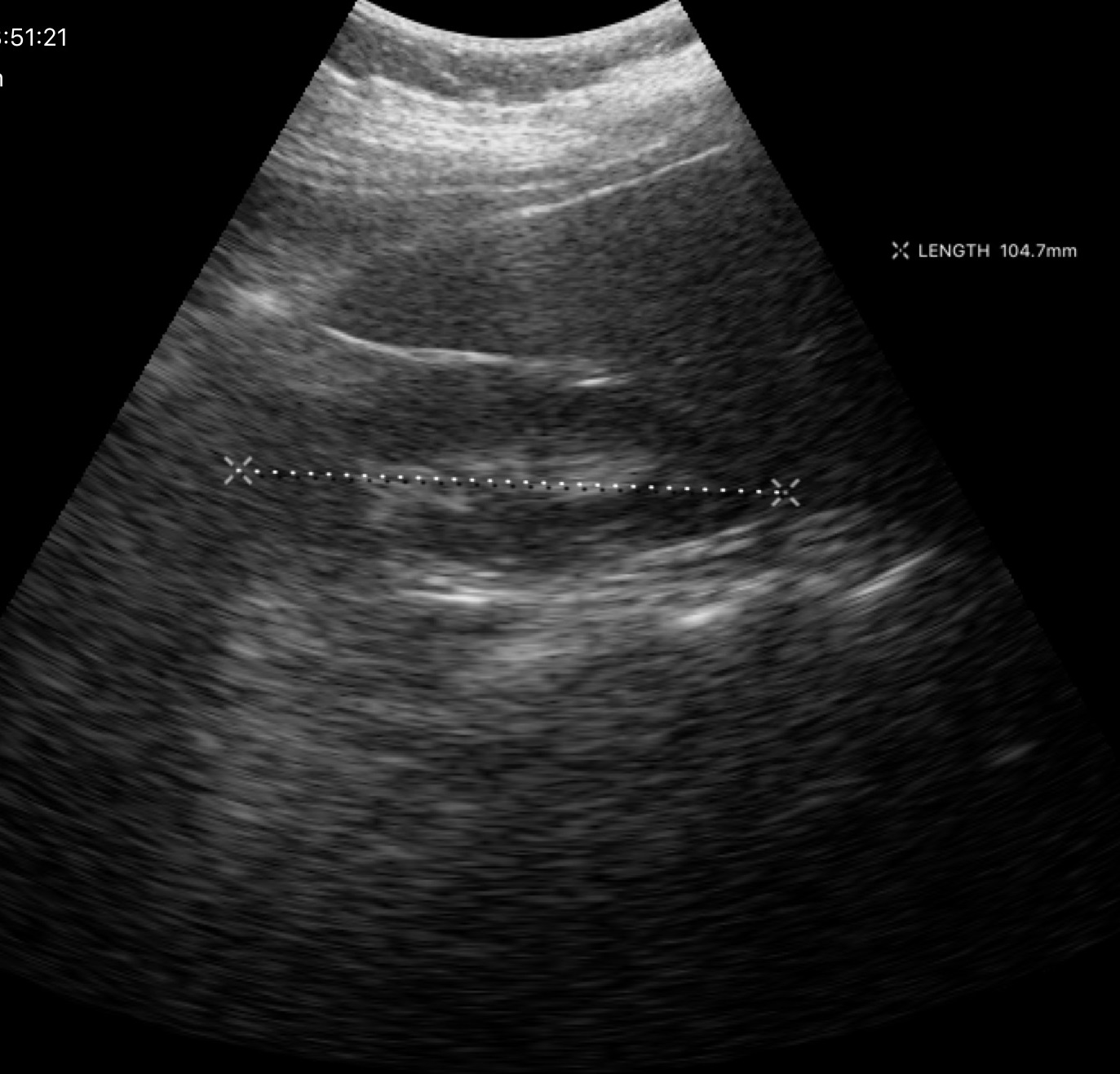
Genitourinary ultrasound.